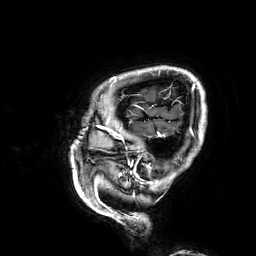
modality: 3 Tesla brain MRI | series: 3D T1-weighted | study: ring-enhancing brain masses.